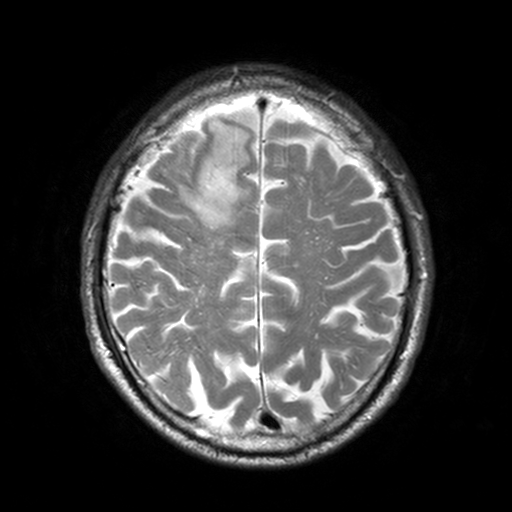
Summary:
3 Tesla brain MRI. Series: T2-weighted turbo spin echo, 3 mm. Study: ring-enhancing brain masses.